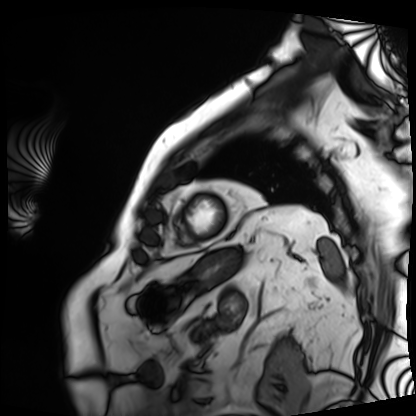
modality: cardiac MRI
subject group: patient